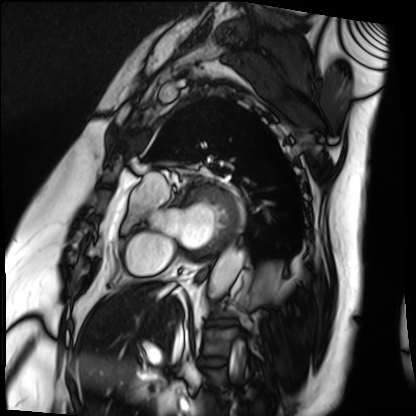
Q: What kind of scan is this?
A: Cardiac MRI.
Subject group: patient.